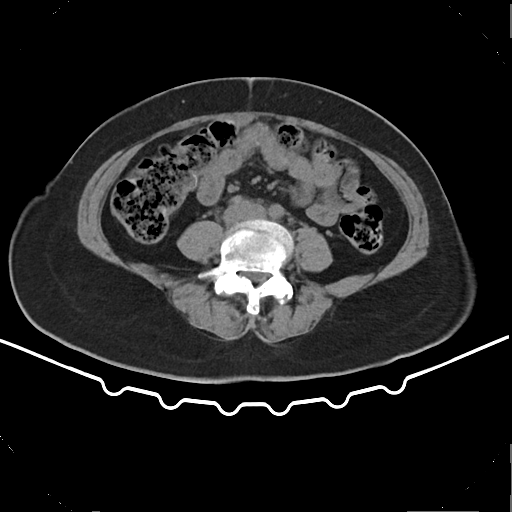
Multiphase abdominal CT, liver, non-contrast phase. Patient: female, age 53. History: prior chemotherapy.